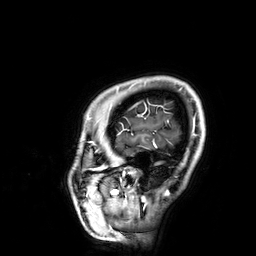
{"modality": {"type": "brain MRI", "field_strength": "3T"}, "series": "3D T1-weighted", "study_topic": "ring-enhancing brain masses"}